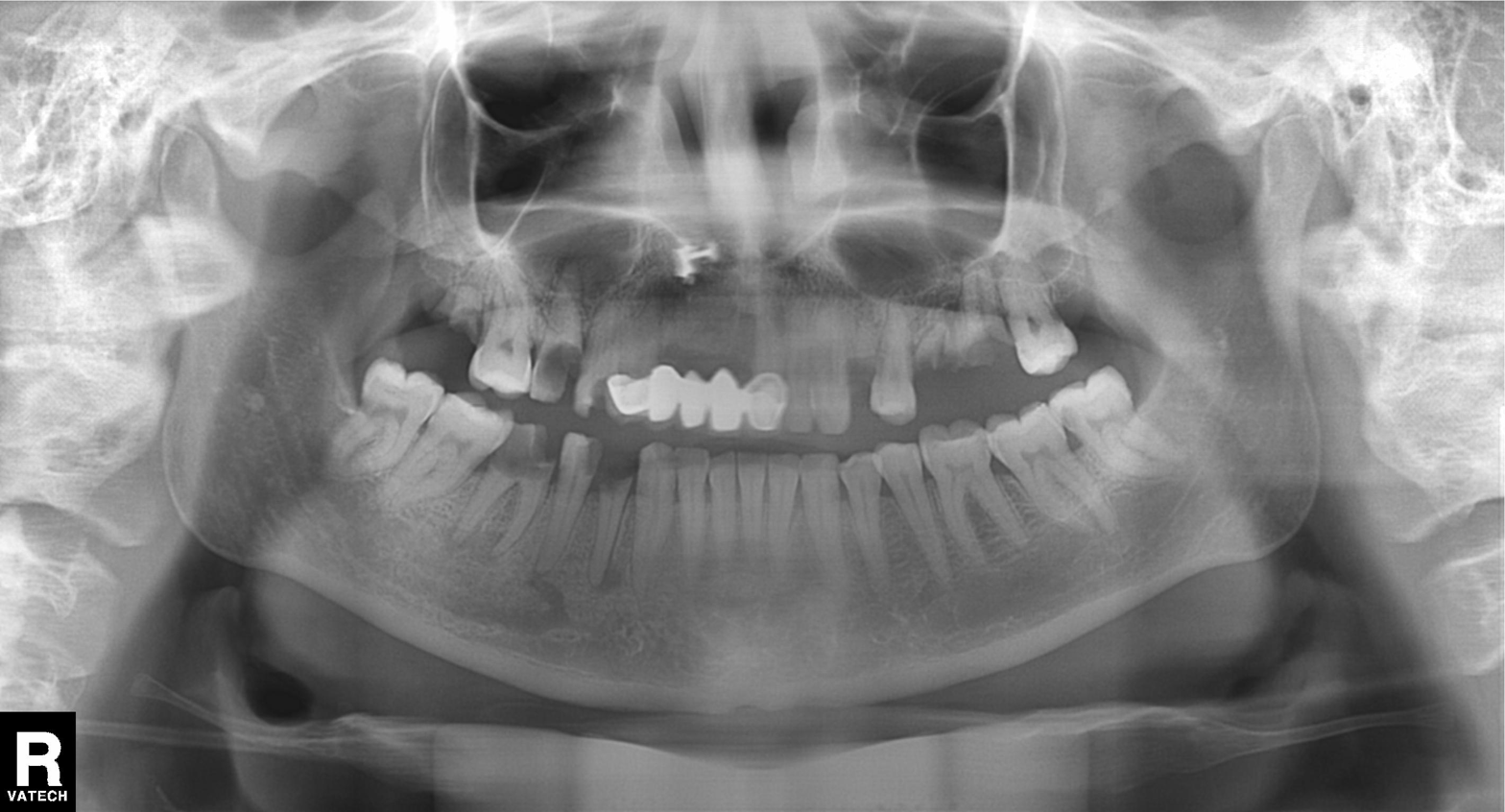
Panoramic dental radiograph (orthopantomogram).
Finding: dental caries (cavities).